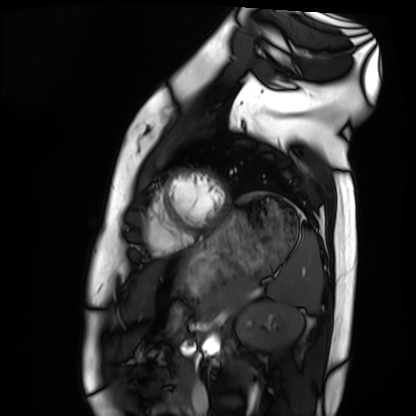
* modality: cardiac MRI
* subject group: healthy volunteer